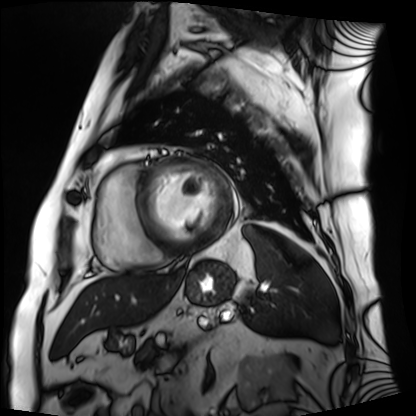
modality = cardiac MRI
subject group = patient